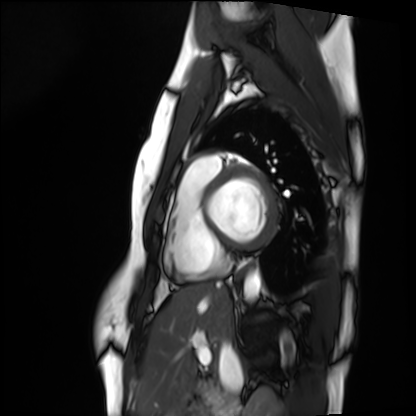
* modality: cardiac MRI
* subject group: healthy volunteer